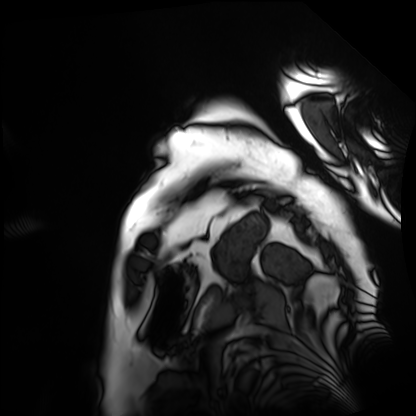
modality: cardiac MRI | subject group: patient.